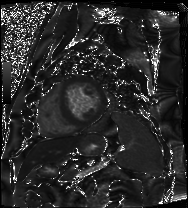
{"modality": "cardiac MRI", "cohort": "patient"}